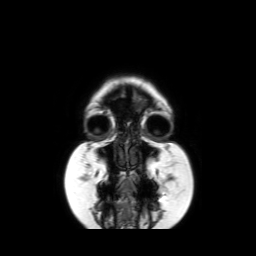
<scan>
<modality>
  <type>brain MRI</type>
  <field_strength>3T</field_strength>
</modality>
<series>coronal without contrast</series>
<study_topic>ring-enhancing brain masses</study_topic>
</scan>